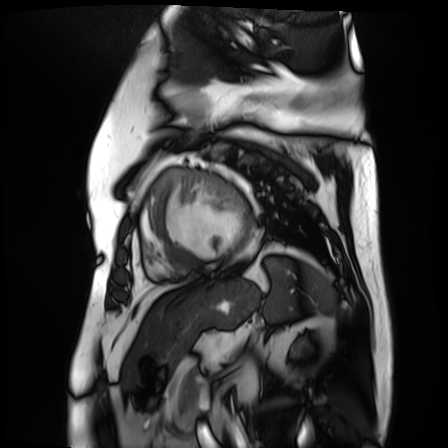
Cardiac MR image of the myocardium. Subject cohort: cardiac patient.